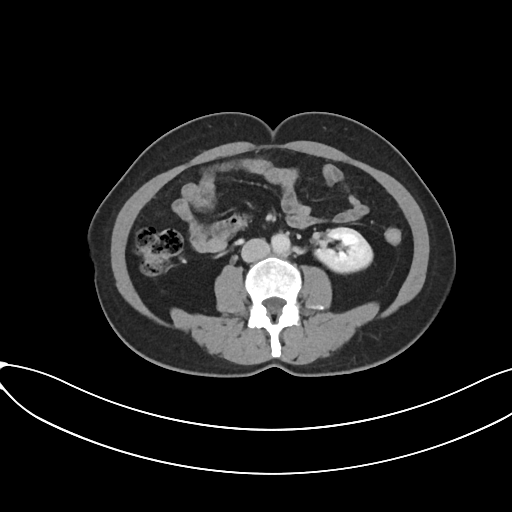
<record>
<modality>
  <type>multiphase abdominal CT</type>
  <region>liver</region>
  <phase>portal venous</phase>
</modality>
<patient>
  <sex>female</sex>
  <age>50</age>
</patient>
</record>